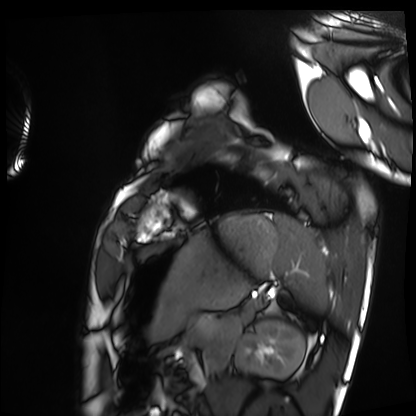
| field | value |
|---|---|
| modality | cardiac MRI |
| subject group | healthy volunteer |